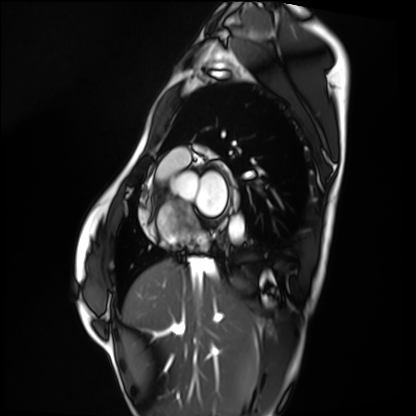
| field | value |
|---|---|
| modality | cardiac MRI |
| subject group | healthy volunteer |